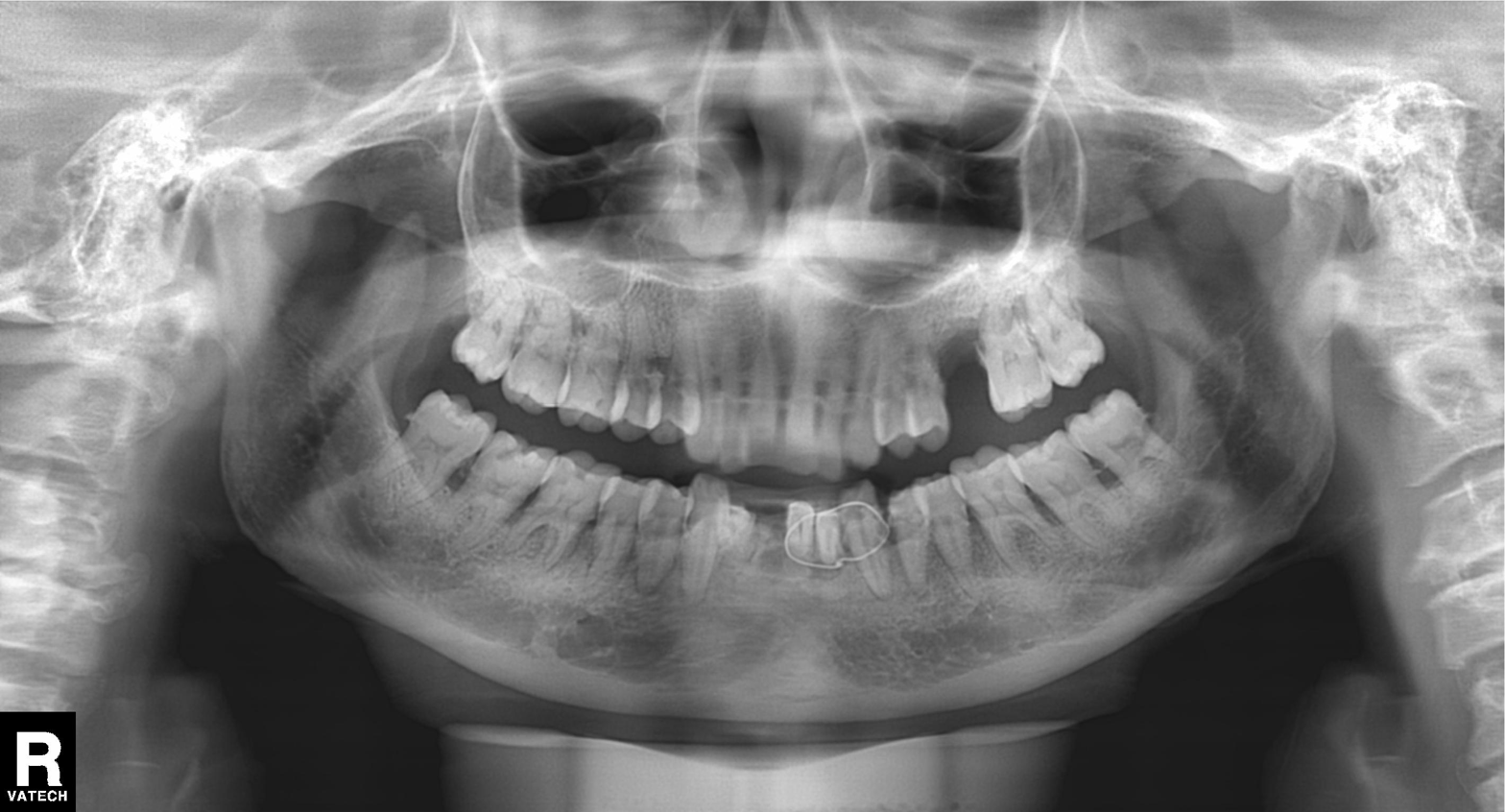
Findings:
• modality · panoramic dental radiograph (orthopantomogram)
• finding · alveolar bone loss